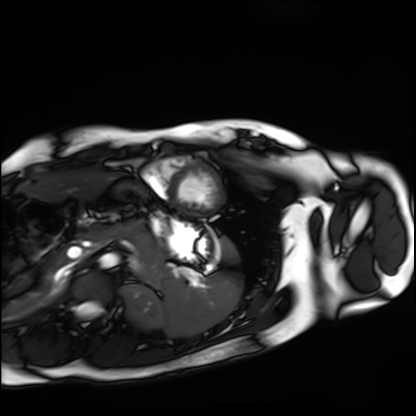
Cardiac MRI. Subject group: healthy volunteer.